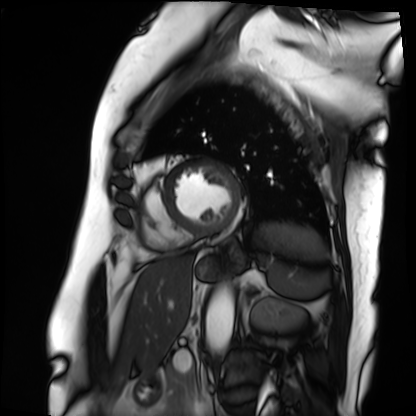
Q: What kind of scan is this?
A: Cardiac MRI.
Subject group: patient.